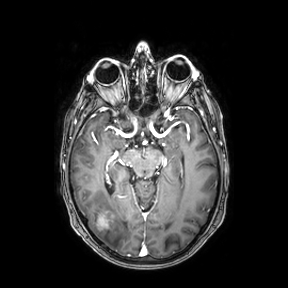
• modality — 3 Tesla brain MRI
• series — axial
• study — ring-enhancing brain masses